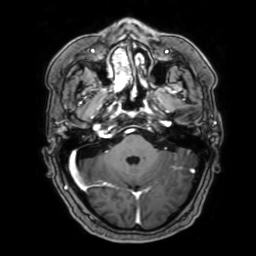
Case:
• modality — 3 Tesla brain MRI
• series — 3D T1-weighted with SENSE
• study — ring-enhancing brain masses